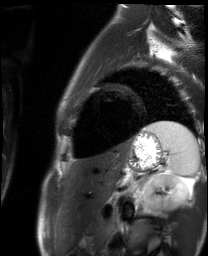
modality: cardiac MR image of the myocardium | subject cohort: healthy volunteer.